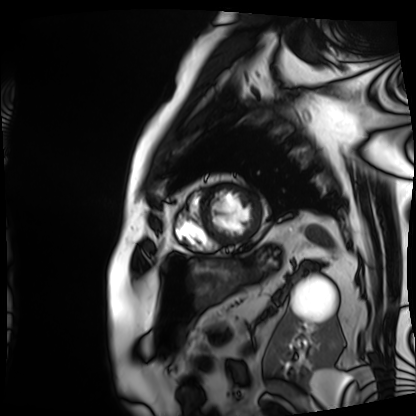
modality: cardiac MRI; subject group: patient.